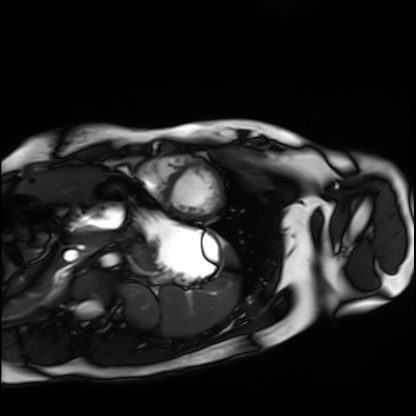
<scan>
<modality>cardiac MRI</modality>
<cohort>healthy volunteer</cohort>
</scan>